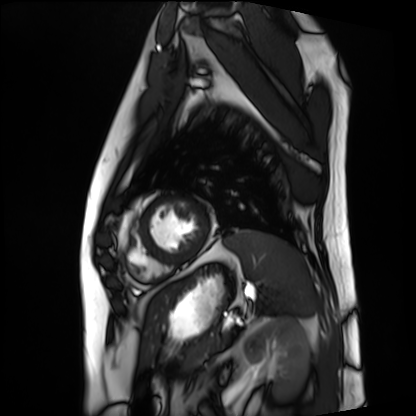
Case summary: Cardiac MRI. Subject group: patient.